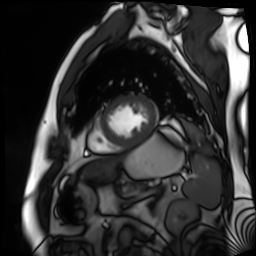
Clinical context: Cardiac MR image of the myocardium. Subject cohort: cardiac patient.